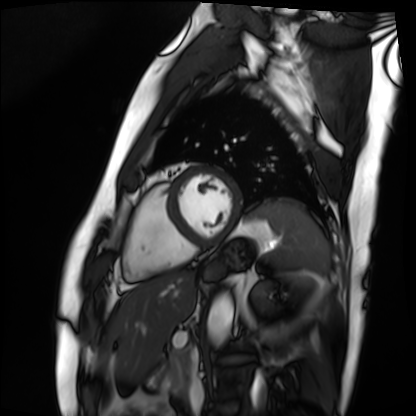
Clinical context: Cardiac MRI. Subject group: patient.